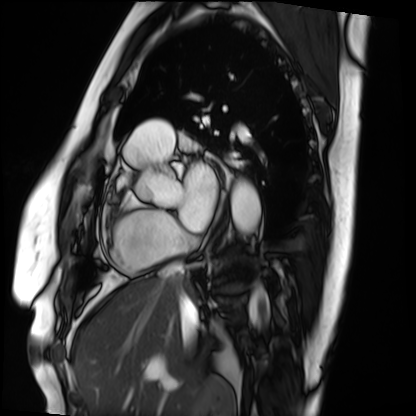
– modality: cardiac MRI
– subject group: patient